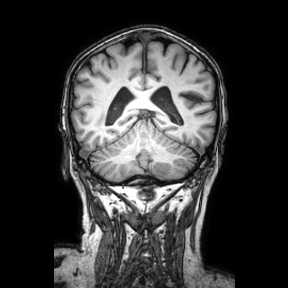
<scan>
<modality>
  <type>brain MRI</type>
  <field_strength>3T</field_strength>
</modality>
<series>coronal</series>
<study_topic>ring-enhancing brain masses</study_topic>
</scan>